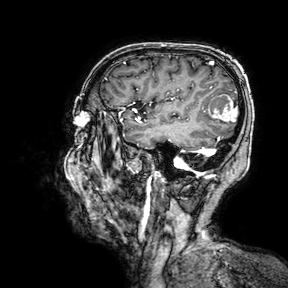
modality: 3 Tesla brain MRI; study: ring-enhancing brain masses.